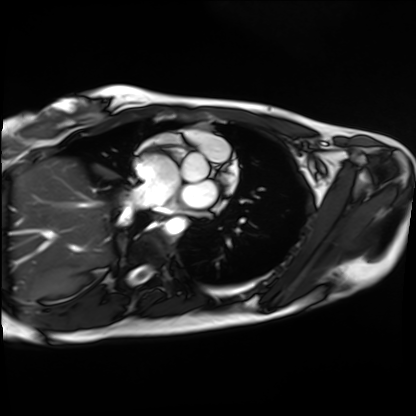
Cardiac MRI. Subject group: healthy volunteer.